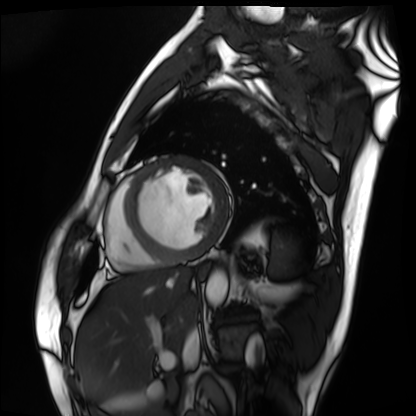
{
  "modality": "cardiac MRI",
  "cohort": "patient"
}